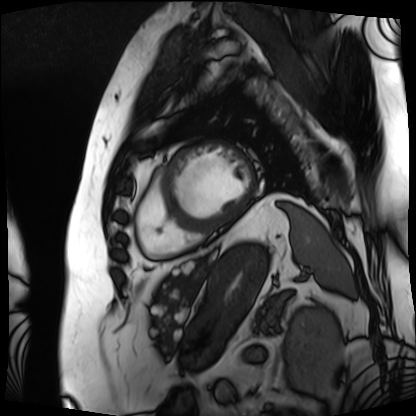
Summary: Cardiac MRI. Subject group: patient.